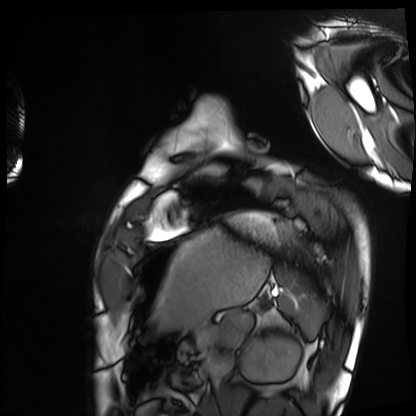
Cardiac MRI. Subject group: healthy volunteer.